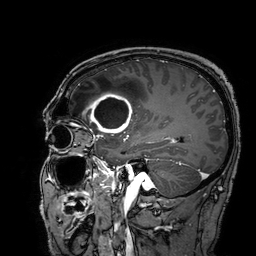
<case>
  <modality>
    <type>brain MRI</type>
    <field_strength>3T</field_strength>
  </modality>
  <series>3D T1-weighted turbo field echo with SENSE</series>
  <study_topic>ring-enhancing brain masses</study_topic>
</case>